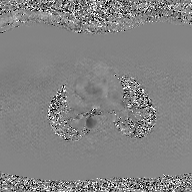
modality: 2D phase-contrast cine MRI of the ascending aorta, GAN super-resolution reconstruction.